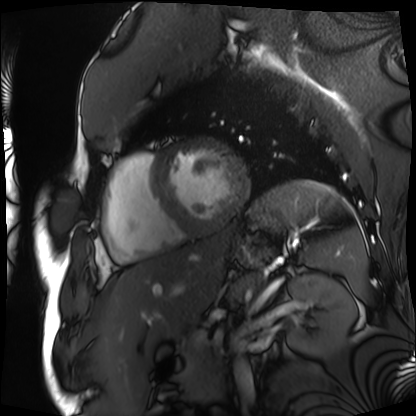
* modality · cardiac MRI
* subject group · patient